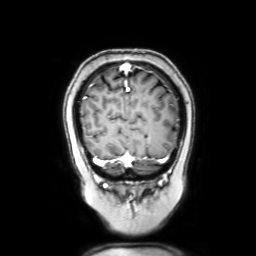
3 Tesla brain MRI.
Study: ring-enhancing brain masses.